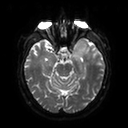
Summary: 3 Tesla brain MRI. Series: diffusion tensor imaging (medium iso). Study: ring-enhancing brain masses.